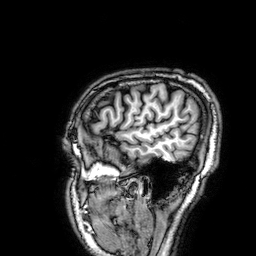
3 Tesla brain MRI.
Series: 3D T1-weighted.
Study: ring-enhancing brain masses.